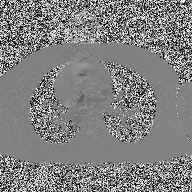
2D phase-contrast cine MRI of the ascending aorta, high-resolution GRAPPA acquisition.